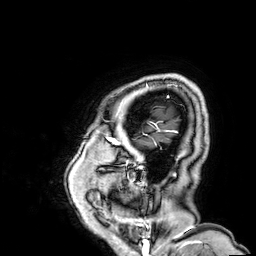
3 Tesla brain MRI. Series: 3D T1-weighted. Study: ring-enhancing brain masses.